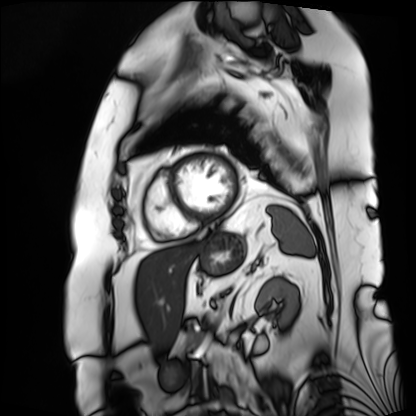
Cardiac MRI. Subject group: patient.